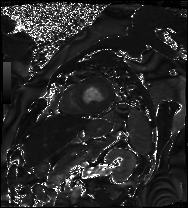
Cardiac MRI. Subject group: patient.